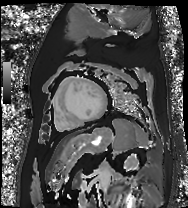
Cardiac MR image of the myocardium.
Subject cohort: cardiac patient.